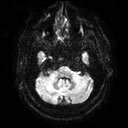
3 Tesla brain MRI. Series: diffusion tensor imaging (medium iso). Study: ring-enhancing brain masses.